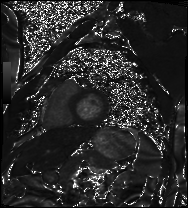
Cardiac MRI. Subject group: patient.